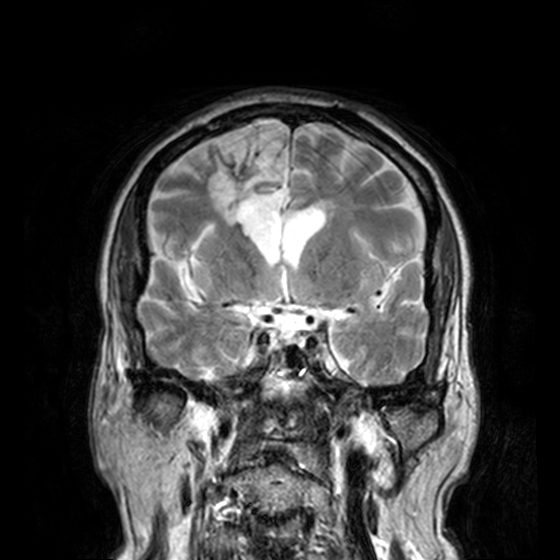
3 Tesla brain MRI. Series: T2-weighted turbo spin echo, 3 mm. Study: ring-enhancing brain masses.